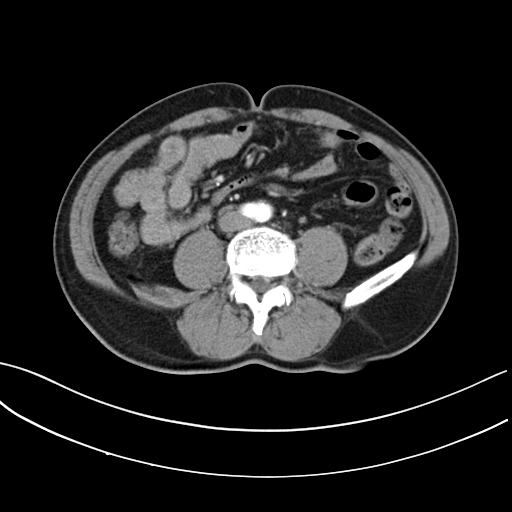
Multiphase abdominal CT, liver, arterial phase. Patient: male, age 66.